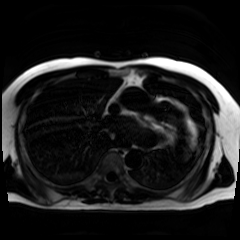
Clinical context: Chemical-shift-encoded cardiac MRI.